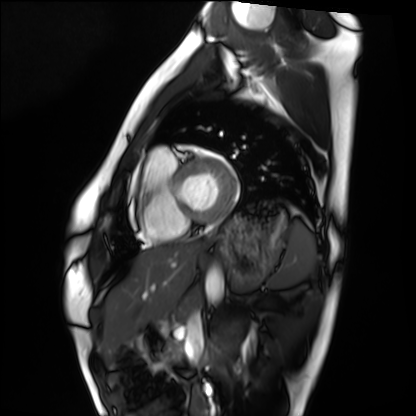
Summary: Cardiac MRI. Subject group: healthy volunteer.